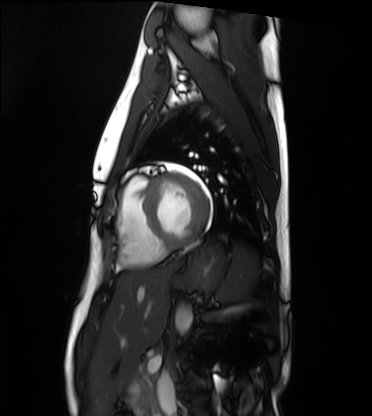
Cardiac MRI.
Subject group: healthy volunteer.